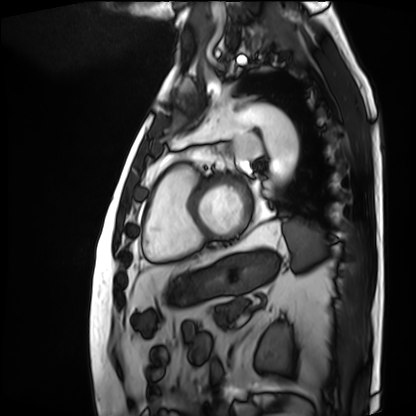
<study>
<modality>cardiac MRI</modality>
<cohort>patient</cohort>
</study>